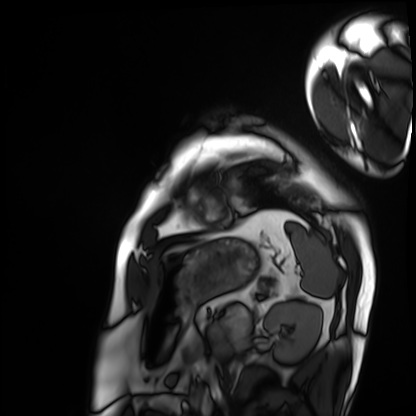
Cardiac MRI.
Subject group: patient.